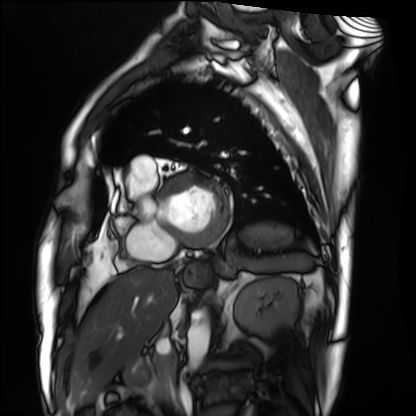
{
  "modality": "cardiac MRI",
  "cohort": "patient"
}